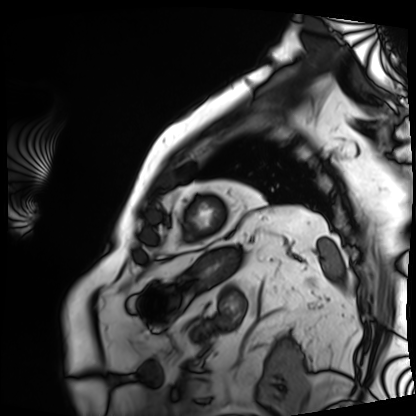
Case:
– modality: cardiac MRI
– subject group: patient